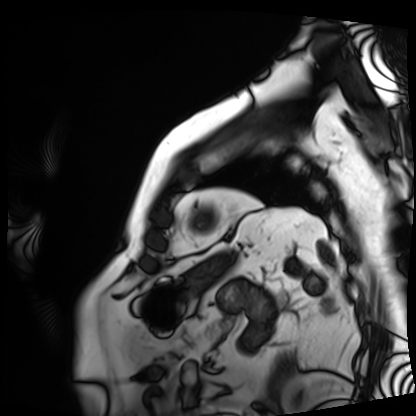
– modality — cardiac MRI
– subject group — patient